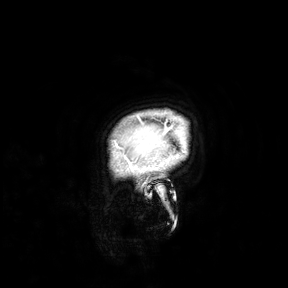
Summary: 3 Tesla brain MRI. Study: ring-enhancing brain masses.